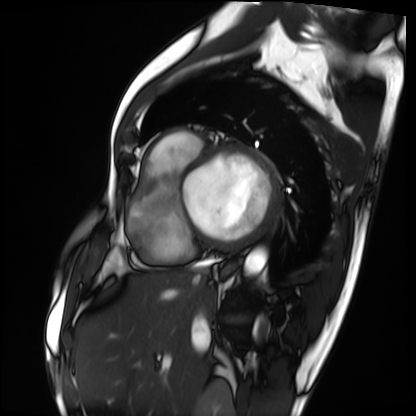
- modality — cardiac MRI
- subject group — patient